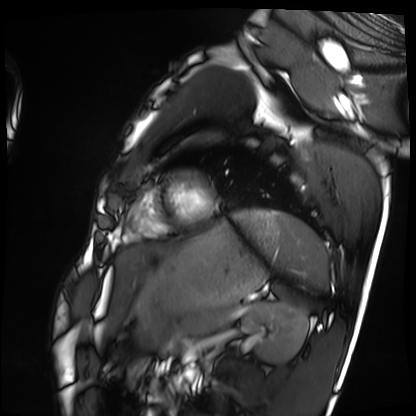
Cardiac MRI. Subject group: healthy volunteer.